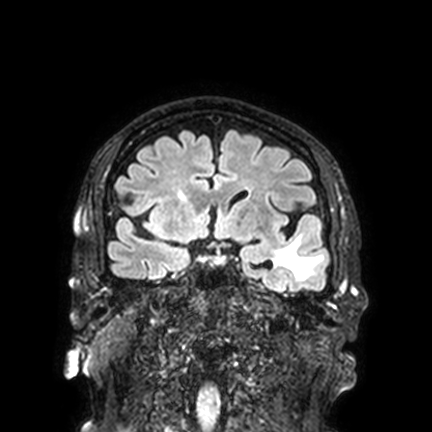
3 Tesla brain MRI.
Series: FLAIR VISTA with SENSE.
Study: ring-enhancing brain masses.